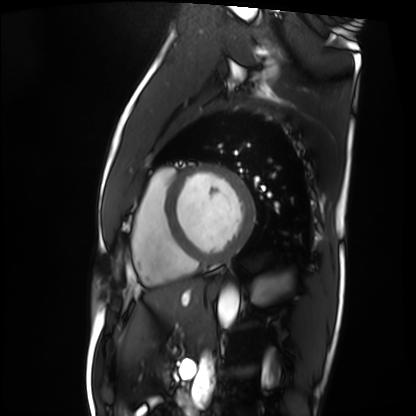
{
  "modality": "cardiac MRI",
  "cohort": "patient"
}